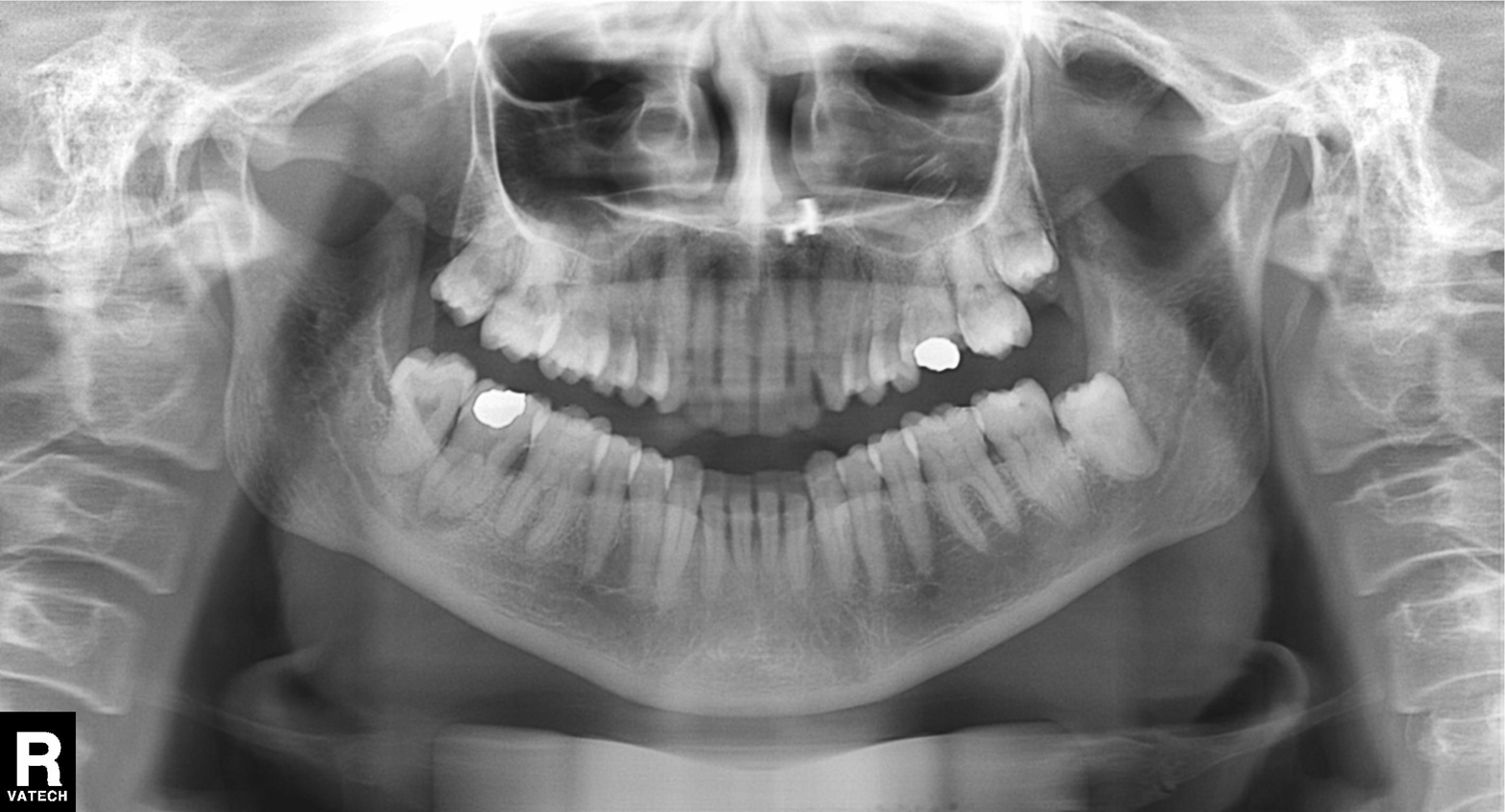
Summary: Panoramic dental radiograph (orthopantomogram).
Conclusion: Tooth impaction.